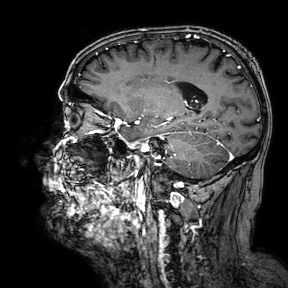
3 Tesla brain MRI.
Series: 3D T1-weighted turbo field echo with SENSE.
Study: ring-enhancing brain masses.